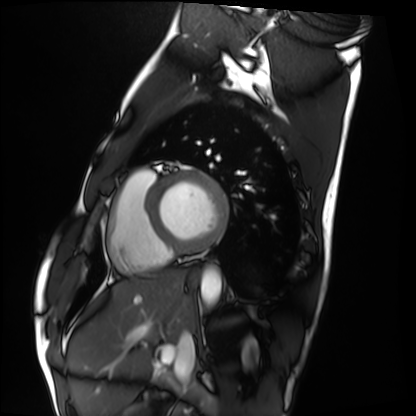
Cardiac MRI. Subject group: healthy volunteer.